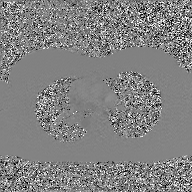
2D phase-contrast cine MRI of the ascending aorta, GAN super-resolution reconstruction.